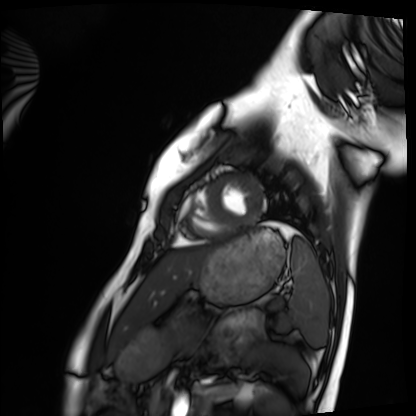
Summary:
Cardiac MRI. Subject group: healthy volunteer.